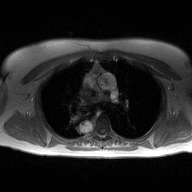
Summary:
2D phase-contrast cine MRI of the ascending aorta, high-resolution GRAPPA acquisition.